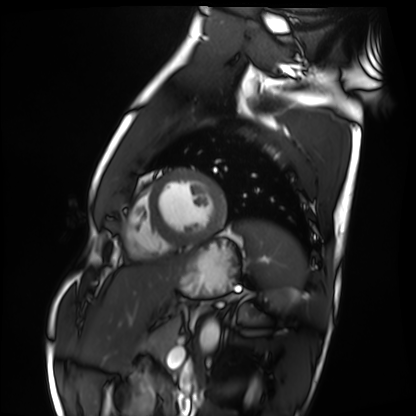
Cardiac MRI. Subject group: healthy volunteer.